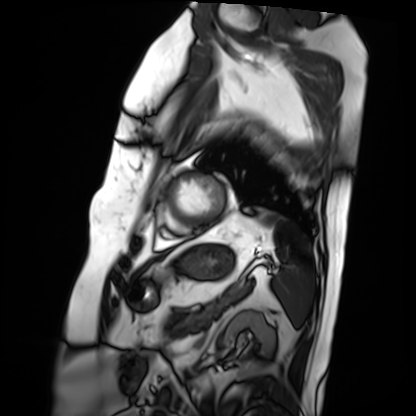
| field | value |
|---|---|
| modality | cardiac MRI |
| subject group | patient |